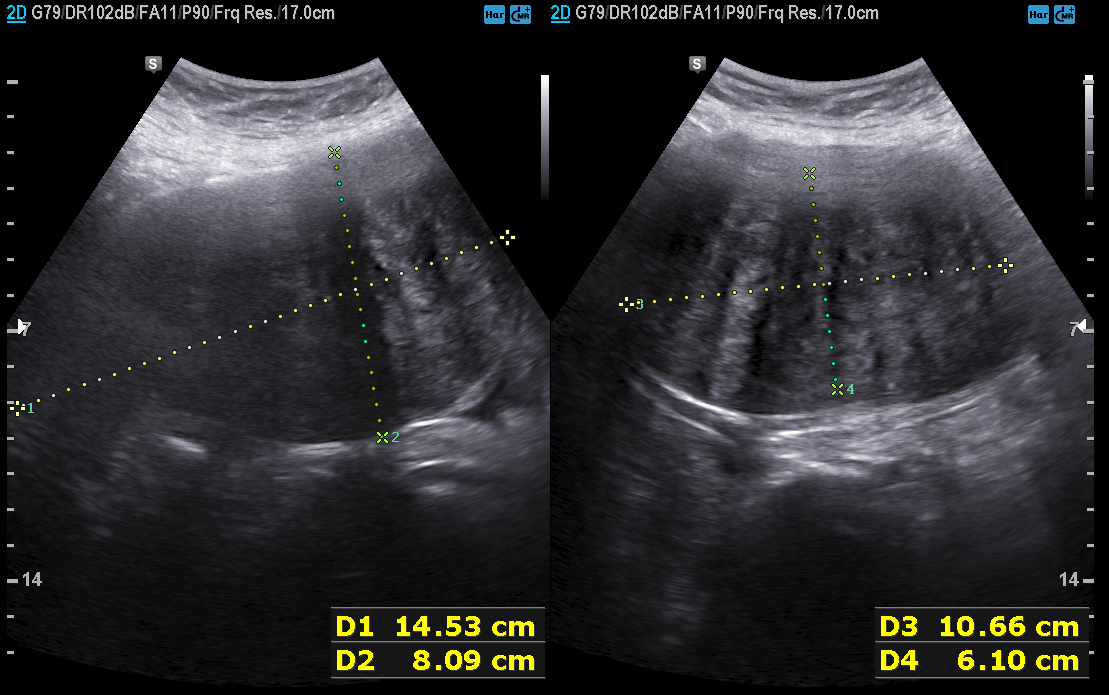
Case:
– modality: genitourinary ultrasound